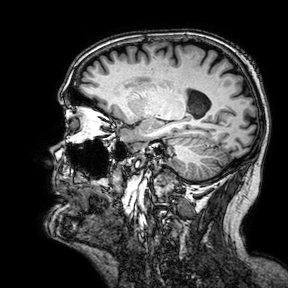
modality=3 Tesla brain MRI | series=3D T1-weighted turbo field echo with SENSE | study=ring-enhancing brain masses.